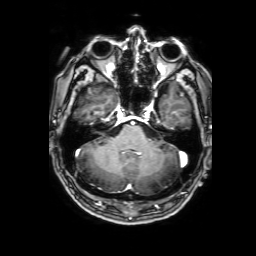
modality: 3 Tesla brain MRI | series: 3D T1-weighted with SENSE | study: ring-enhancing brain masses.